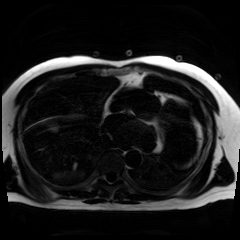
Chemical-shift-encoded cardiac MRI.